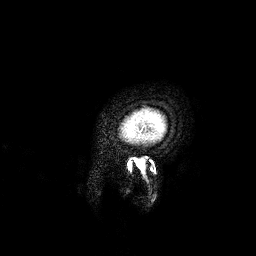
Summary:
3 Tesla brain MRI. Series: 3D T1-weighted. Study: ring-enhancing brain masses.